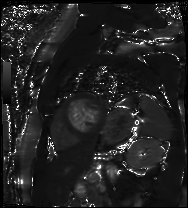
Cardiac MR image of the myocardium.
Subject cohort: cardiac patient.